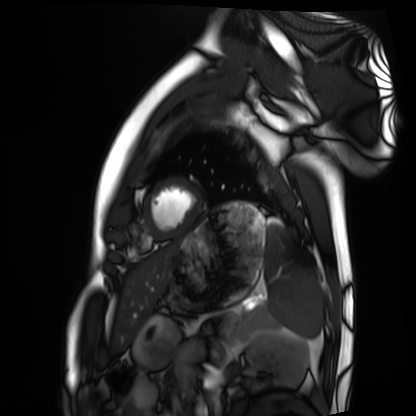
Cardiac MRI. Subject group: healthy volunteer.